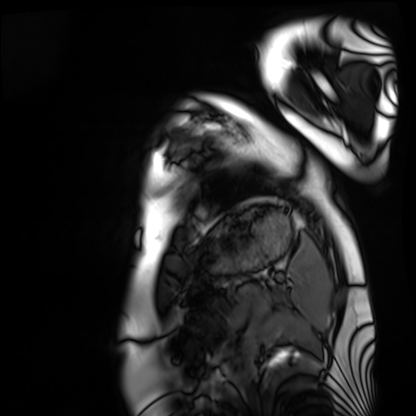
modality — cardiac MRI | subject group — healthy volunteer.